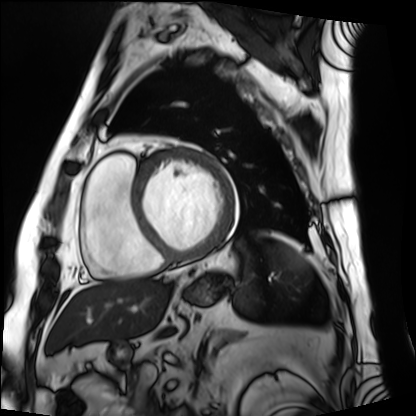
{"modality": "cardiac MRI", "cohort": "patient"}